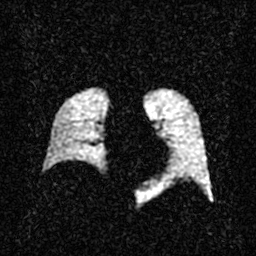
modality = hyperpolarized 129Xe ventilation MRI of the lungs, SNR level = 2 of 8 (the deposit holds this scan as its native image and as seven SNR-degraded versions).